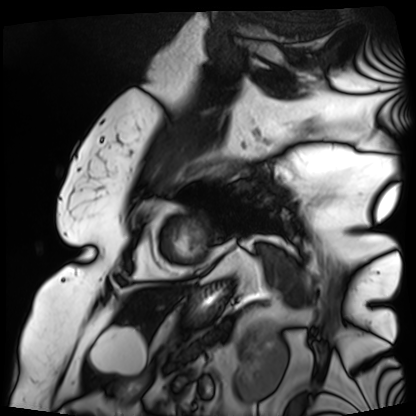
Clinical context: Cardiac MRI. Subject group: patient.